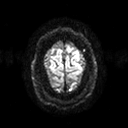
3 Tesla brain MRI.
Series: diffusion tensor imaging (medium iso).
Study: ring-enhancing brain masses.